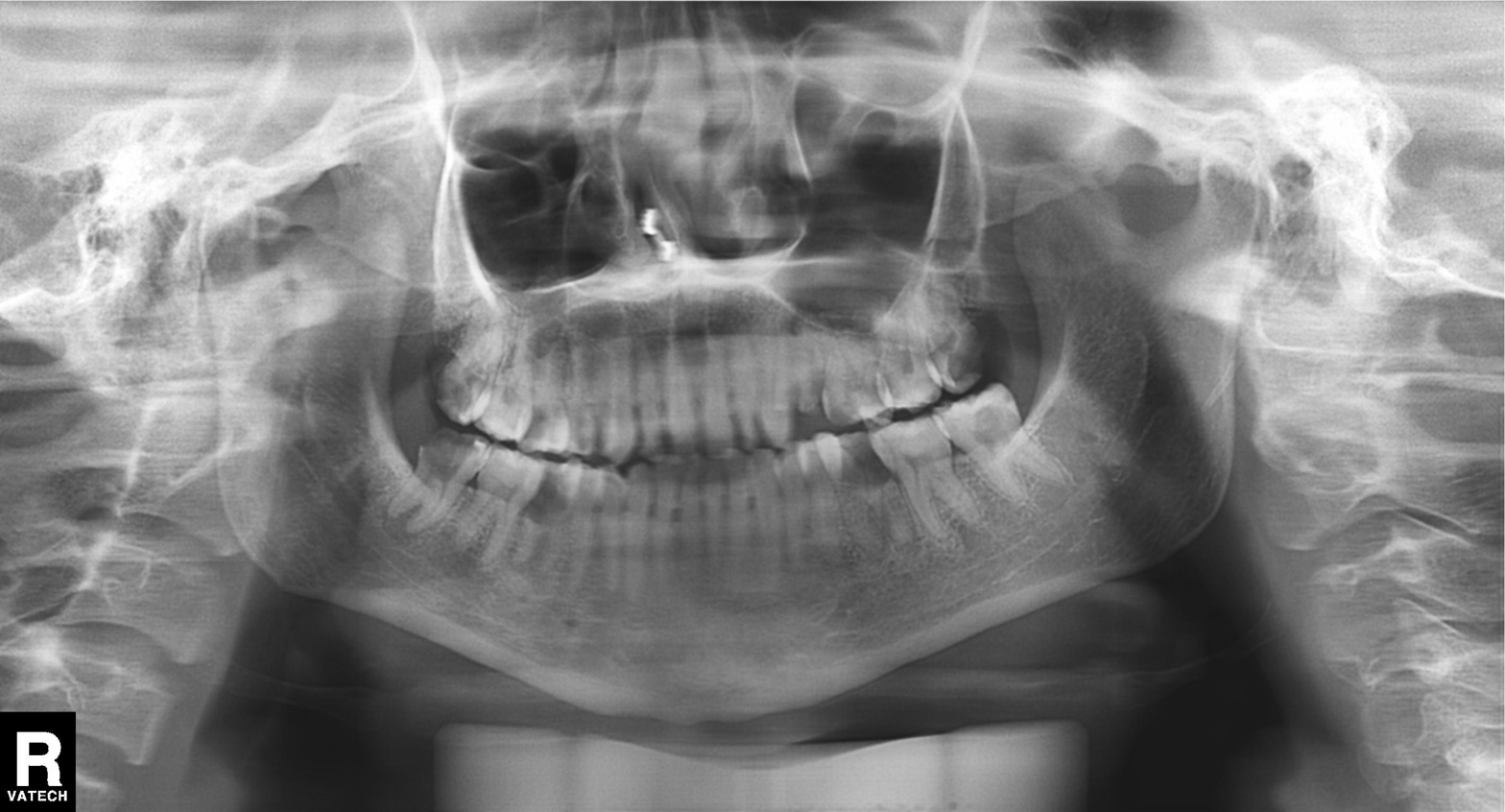
Summary: Panoramic dental radiograph (orthopantomogram).
Assessment: Tooth impaction.